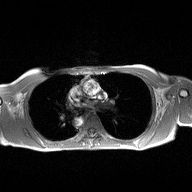
| field | value |
|---|---|
| modality | 2D phase-contrast cine MRI of the ascending aorta |